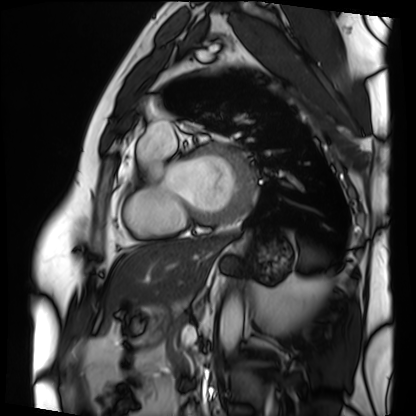
Q: What kind of scan is this?
A: Cardiac MRI.
Subject group: patient.